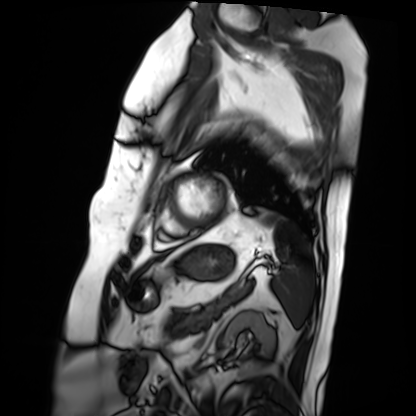
Q: What kind of scan is this?
A: Cardiac MRI.
Subject group: patient.